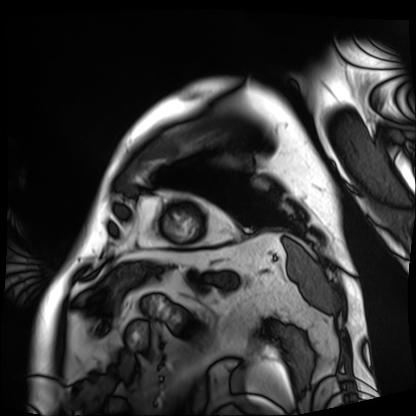
Q: What kind of scan is this?
A: Cardiac MRI.
Subject group: patient.